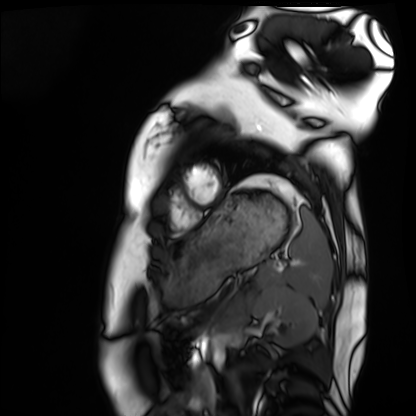
modality: cardiac MRI | subject group: healthy volunteer.